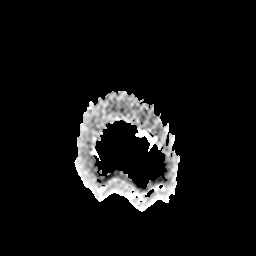
* modality — 3 Tesla brain MRI
* series — apparent diffusion coefficient (ADC) map
* study — ring-enhancing brain masses